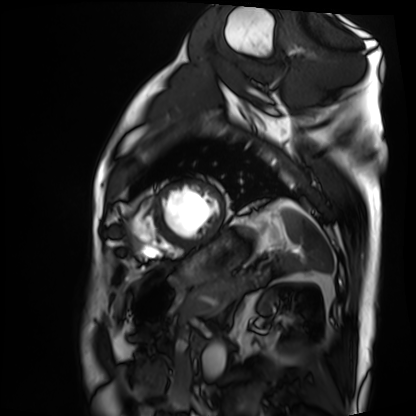
Q: What kind of scan is this?
A: Cardiac MRI.
Subject group: patient.